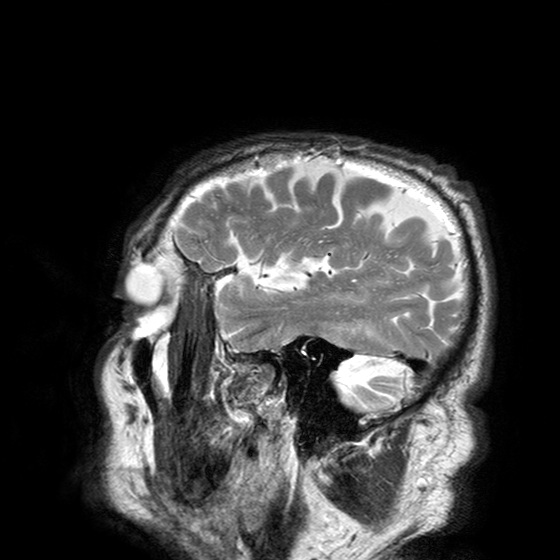
| field | value |
|---|---|
| modality | 3 Tesla brain MRI |
| series | T2-weighted turbo spin echo with SENSE |
| study | ring-enhancing brain masses |